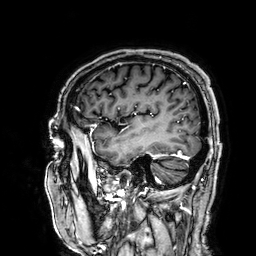
modality:
  type: brain MRI
  field_strength: 3T
series: 3D T1-weighted
study_topic: ring-enhancing brain masses